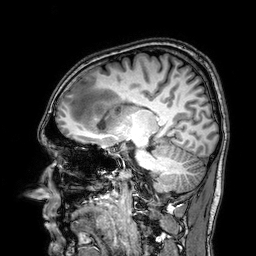
3 Tesla brain MRI. Series: 3D T1-weighted. Study: ring-enhancing brain masses.